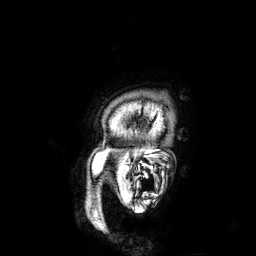
Clinical context: 3 Tesla brain MRI. Study: ring-enhancing brain masses.